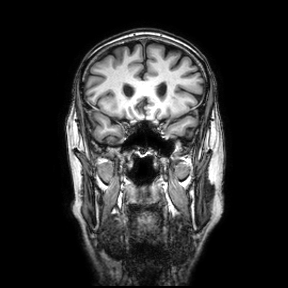
3 Tesla brain MRI.
Series: coronal.
Study: ring-enhancing brain masses.